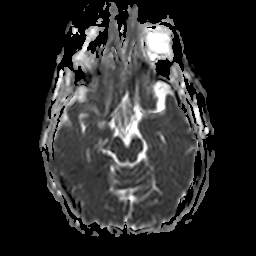
• modality · 3 Tesla brain MRI
• series · apparent diffusion coefficient (ADC) map
• study · ring-enhancing brain masses